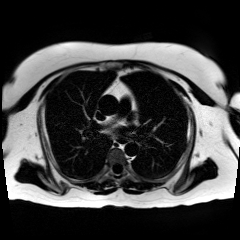
modality: chemical-shift-encoded cardiac MRI.